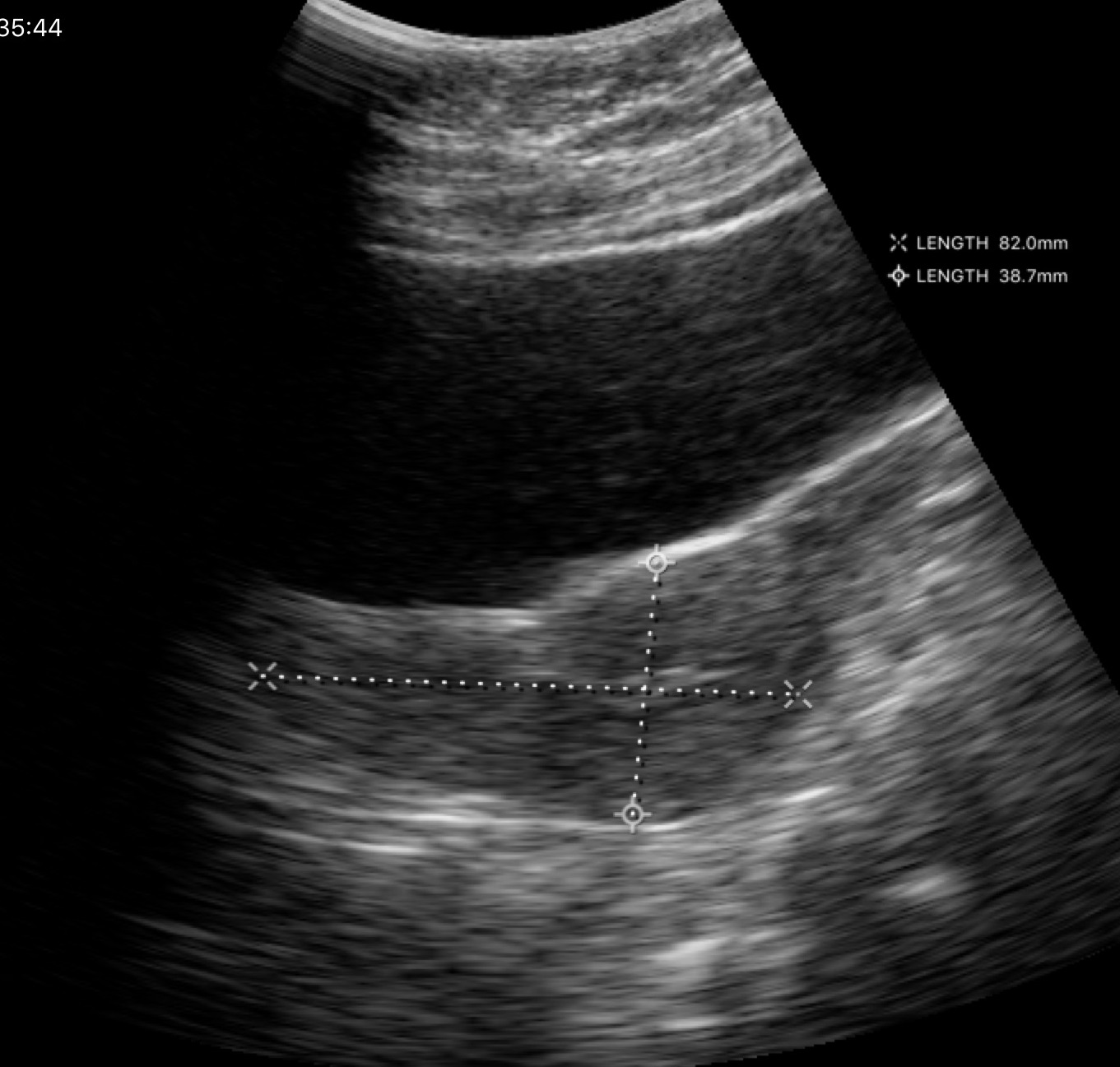
Case:
* modality: genitourinary ultrasound